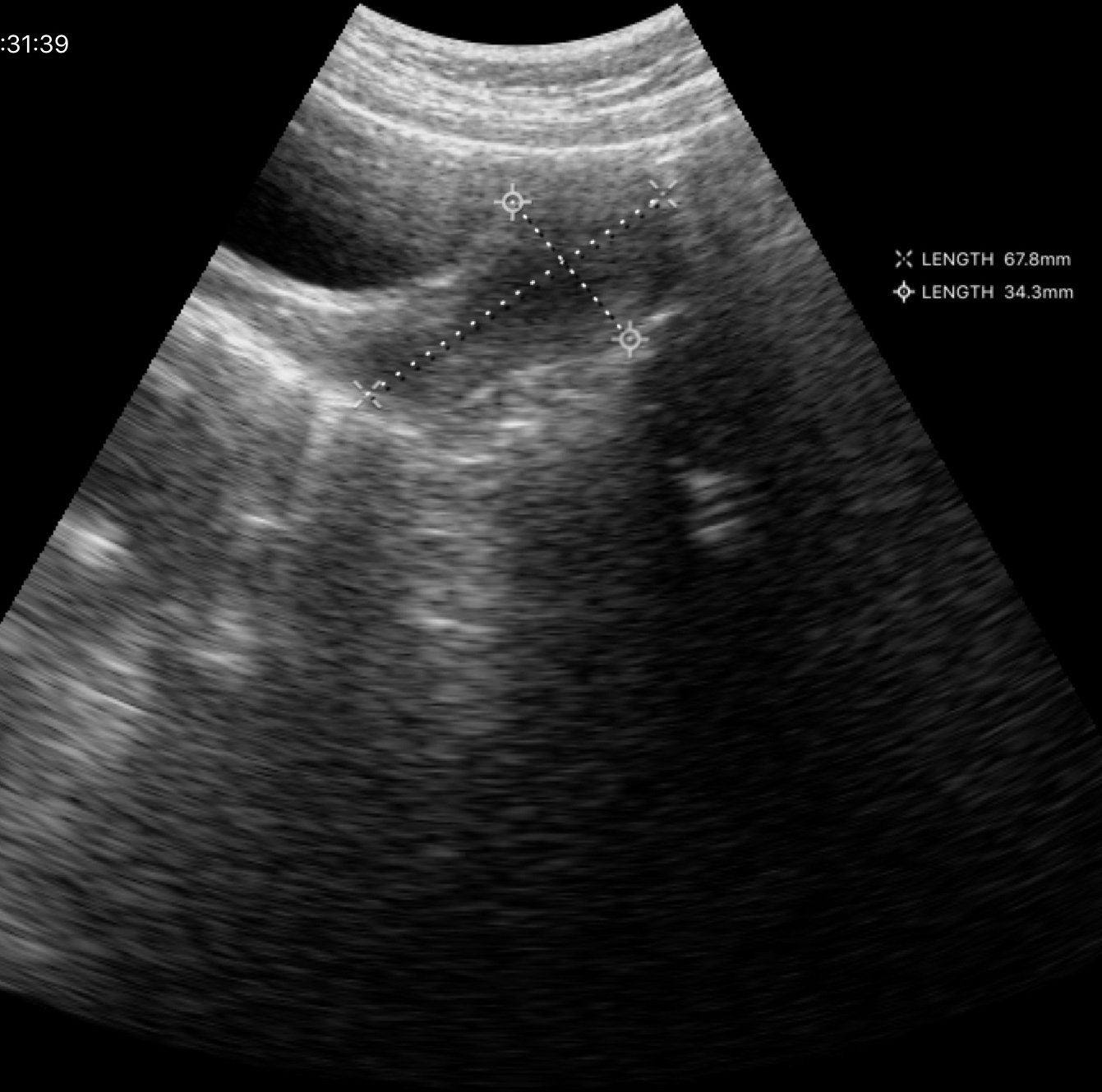
Genitourinary ultrasound.